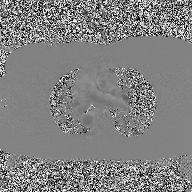
modality: 2D phase-contrast cine MRI of the ascending aorta